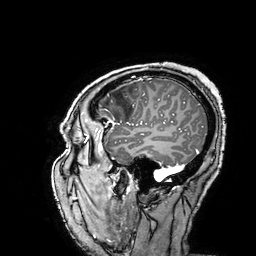
Q: What kind of scan is this?
A: 3 Tesla brain MRI.
Q: Series?
A: 3D T1-weighted turbo field echo with SENSE.
Study: ring-enhancing brain masses.